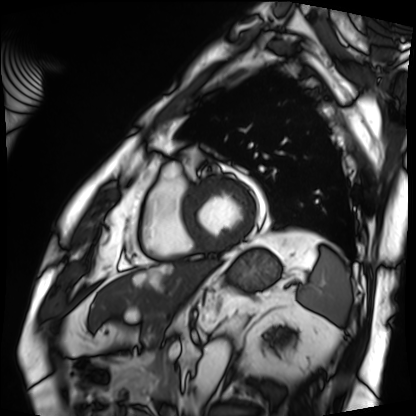
{
  "modality": "cardiac MRI",
  "cohort": "patient"
}